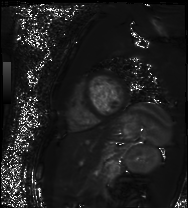
Q: What kind of scan is this?
A: Cardiac MR image of the myocardium.
Subject cohort: healthy volunteer.